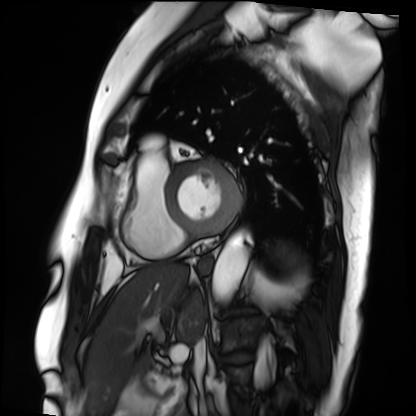
Cardiac MRI.
Subject group: patient.